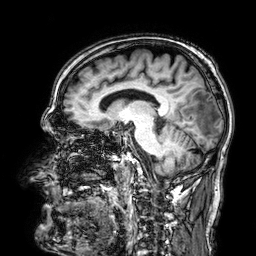
Case summary:
3 Tesla brain MRI. Series: 3D T1-weighted. Study: ring-enhancing brain masses.